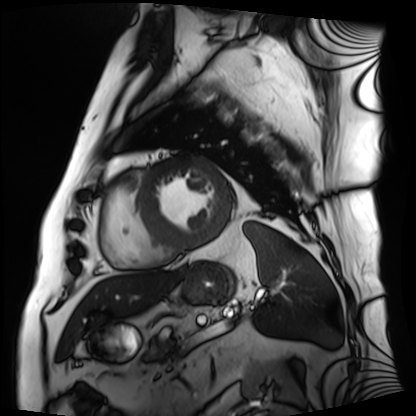
Q: What kind of scan is this?
A: Cardiac MRI.
Subject group: patient.